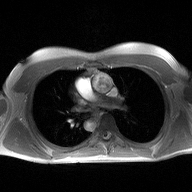
2D phase-contrast cine MRI of the ascending aorta, high-resolution GRAPPA acquisition.